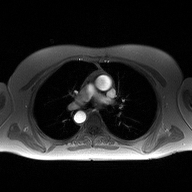
2D phase-contrast cine MRI of the ascending aorta, high-resolution GRAPPA acquisition.